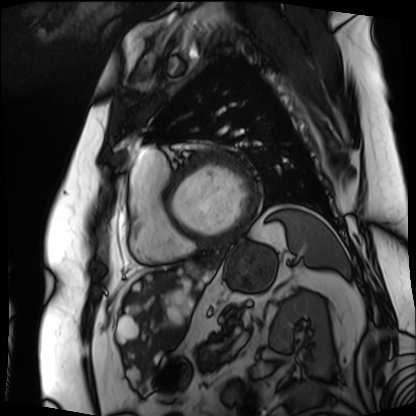
Q: What kind of scan is this?
A: Cardiac MRI.
Subject group: patient.